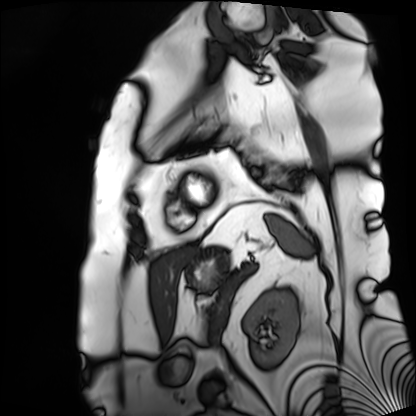
<case>
  <modality>cardiac MRI</modality>
  <cohort>patient</cohort>
</case>